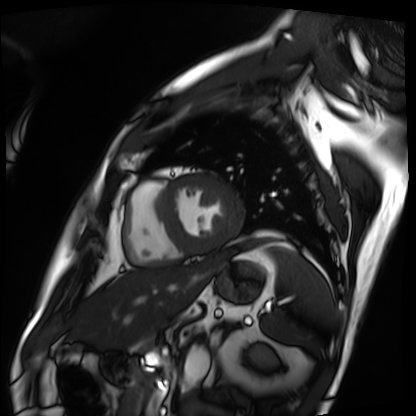
| field | value |
|---|---|
| modality | cardiac MRI |
| subject group | patient |